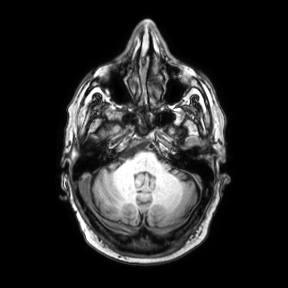
| field | value |
|---|---|
| modality | 3 Tesla brain MRI |
| study | ring-enhancing brain masses |